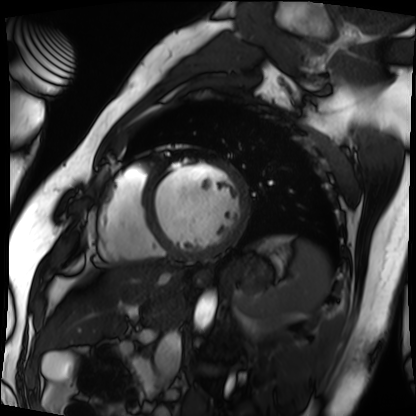
Summary: Cardiac MRI. Subject group: patient.